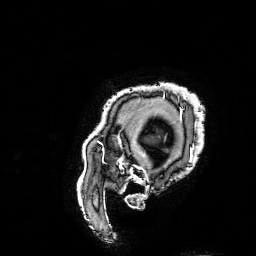
modality = 3 Tesla brain MRI
series = 3D T1-weighted turbo field echo with SENSE
study = ring-enhancing brain masses